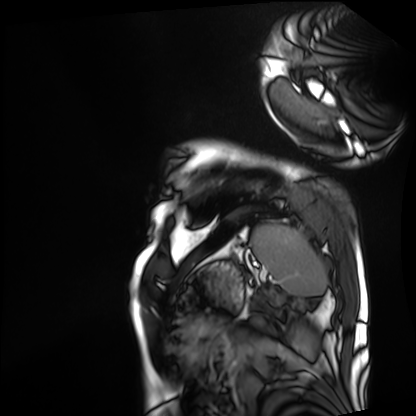
| field | value |
|---|---|
| modality | cardiac MRI |
| subject group | patient |